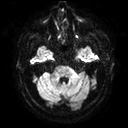
modality = 3 Tesla brain MRI | series = diffusion tensor imaging (medium iso) | study = ring-enhancing brain masses.